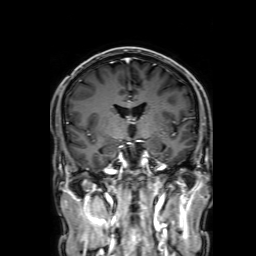
modality: 3 Tesla brain MRI | series: 3D T1-weighted with SENSE | study: ring-enhancing brain masses.